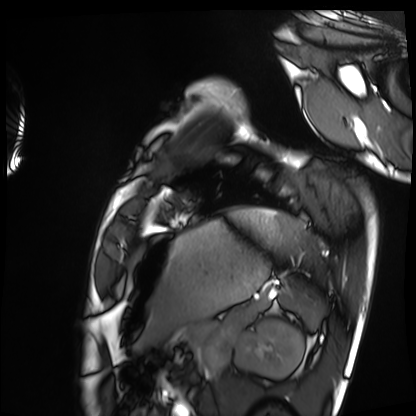
- modality: cardiac MRI
- subject group: healthy volunteer